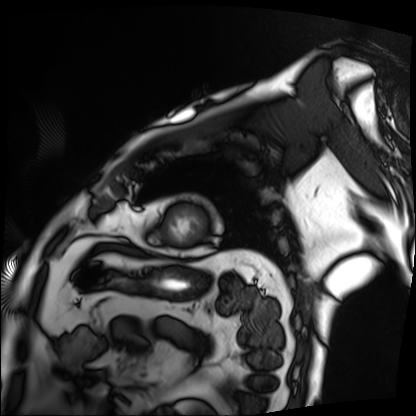
Summary: Cardiac MRI. Subject group: patient.